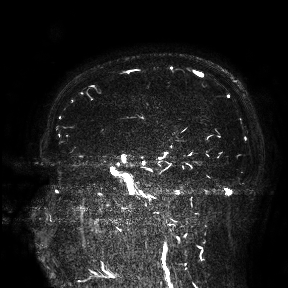
modality — 3 Tesla brain MRI | study — ring-enhancing brain masses.